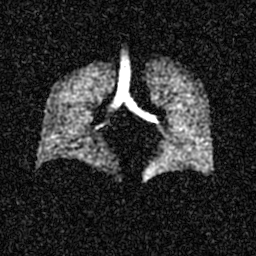
| field | value |
|---|---|
| modality | hyperpolarized 129Xe ventilation MRI of the lungs |
| SNR level | 4 of 8 (the deposit holds this scan as its native image and as seven SNR-degraded versions) |